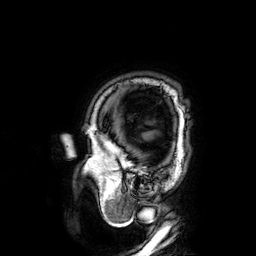
3 Tesla brain MRI. Series: 3D T1-weighted. Study: ring-enhancing brain masses.